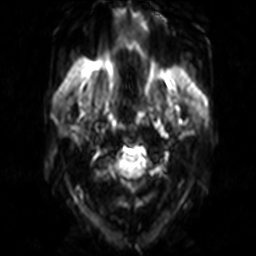
3 Tesla brain MRI.
Series: diffusion-weighted imaging.
Study: ring-enhancing brain masses.